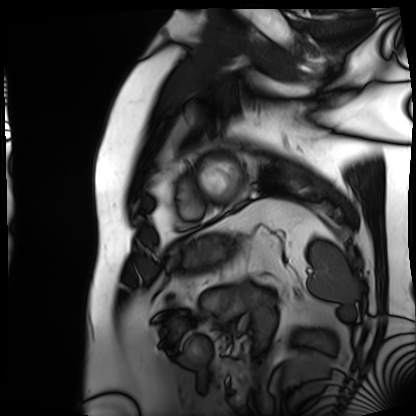
Q: What kind of scan is this?
A: Cardiac MRI.
Subject group: patient.